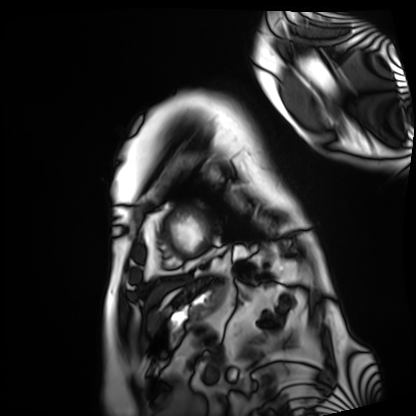
Summary:
Cardiac MRI. Subject group: patient.